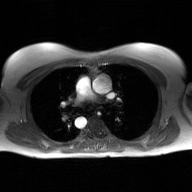
2D phase-contrast cine MRI of the ascending aorta, GAN super-resolution reconstruction.